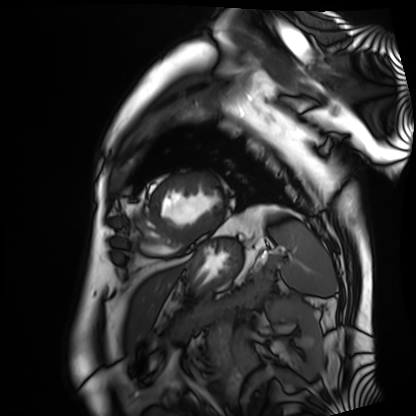
modality = cardiac MRI; subject group = patient.